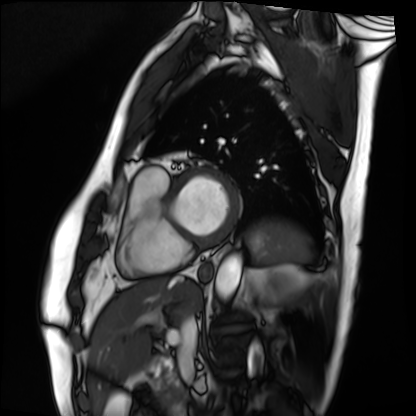
Cardiac MRI. Subject group: patient.